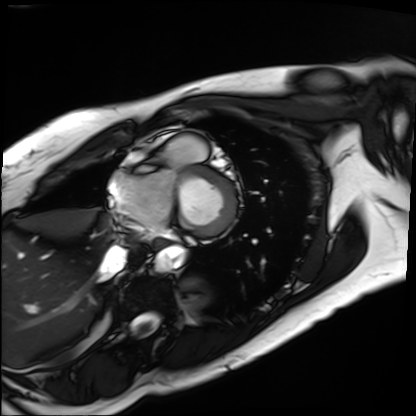
modality: cardiac MRI | subject group: patient.